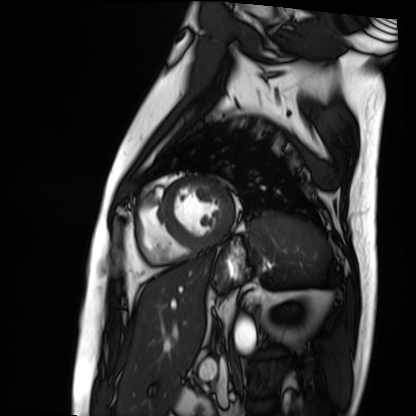
– modality: cardiac MRI
– subject group: patient